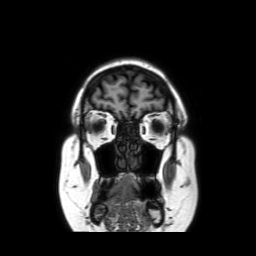
3 Tesla brain MRI. Series: coronal without contrast. Study: ring-enhancing brain masses.